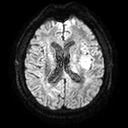
Q: What kind of scan is this?
A: 3 Tesla brain MRI.
Q: Series?
A: Diffusion tensor imaging (medium iso).
Study: ring-enhancing brain masses.